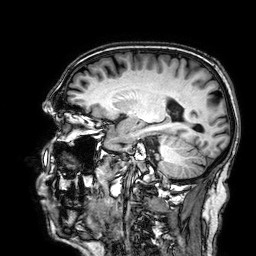
* modality · 3 Tesla brain MRI
* series · 3D T1-weighted
* study · ring-enhancing brain masses